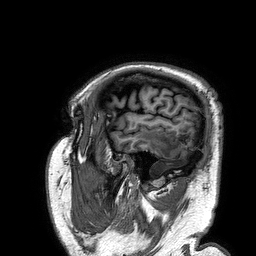
modality = 3 Tesla brain MRI | series = 3D T1-weighted turbo field echo | study = ring-enhancing brain masses.